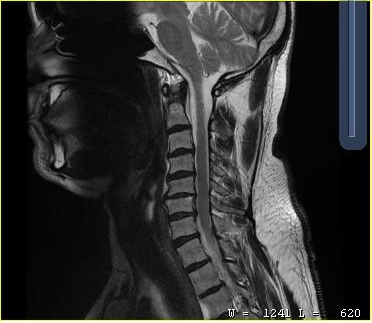
Summary: MRI of the cervical spine. Study: cervical spondylosis.